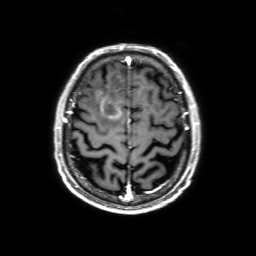
Case summary:
3 Tesla brain MRI. Series: 3D T1-weighted with SENSE. Study: ring-enhancing brain masses.